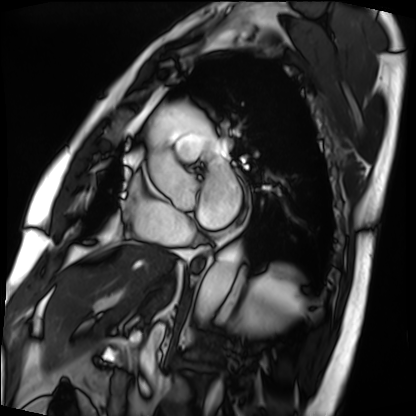
modality=cardiac MRI
subject group=patient